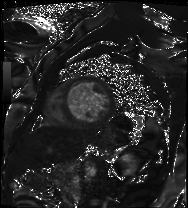
Summary: Cardiac MRI. Subject group: patient.